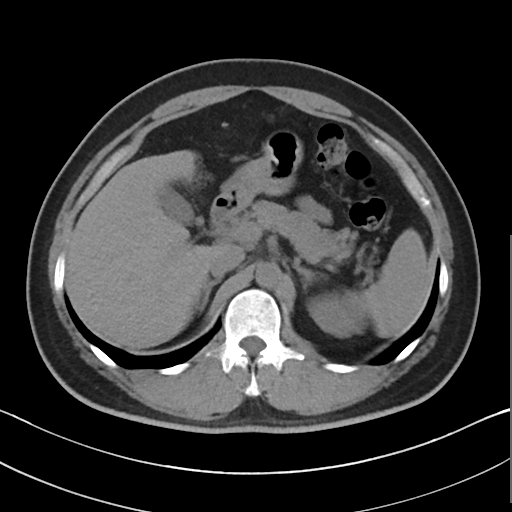
Case summary: Multiphase abdominal CT, liver, non-contrast phase. Patient: male, age 39.